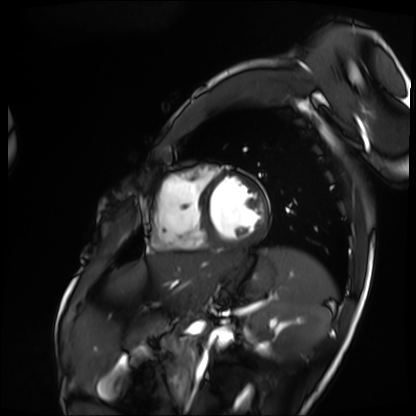
modality: cardiac MRI
cohort: patient